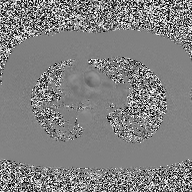
Clinical context:
2D phase-contrast cine MRI of the ascending aorta, high-resolution GRAPPA acquisition.